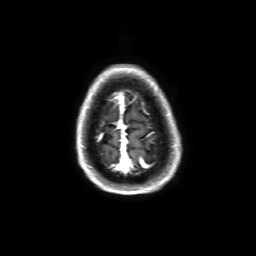
Q: What kind of scan is this?
A: 3 Tesla brain MRI.
Q: Series?
A: 3D T1-weighted with SENSE.
Study: ring-enhancing brain masses.